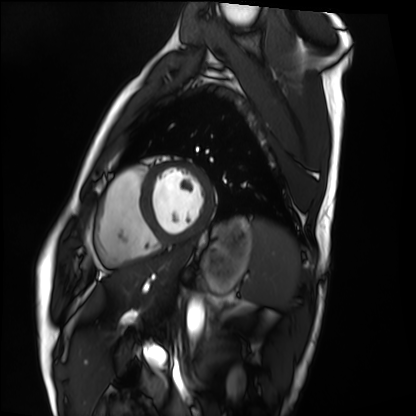
– modality — cardiac MRI
– subject group — healthy volunteer